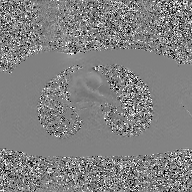
2D phase-contrast cine MRI of the ascending aorta, GAN super-resolution reconstruction.